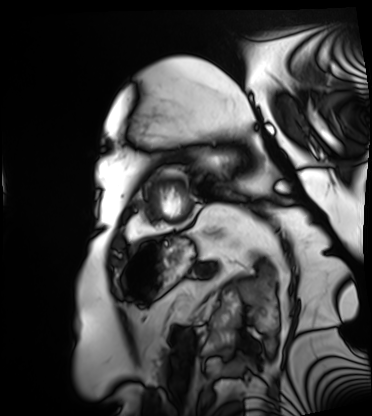
Cardiac MRI. Subject group: patient.